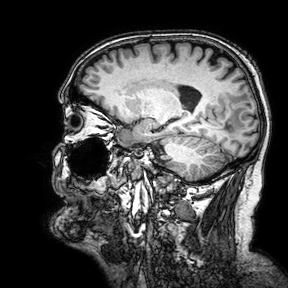
modality: 3 Tesla brain MRI; series: 3D T1-weighted turbo field echo with SENSE; study: ring-enhancing brain masses.